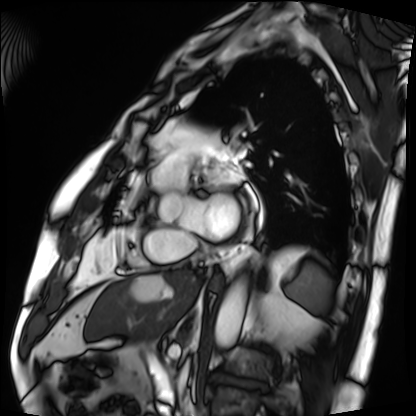
{"modality": "cardiac MRI", "cohort": "patient"}